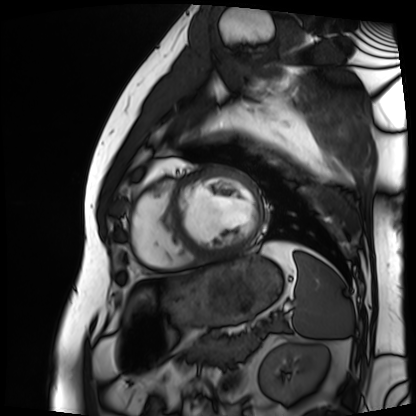
• modality · cardiac MRI
• subject group · patient